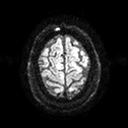
modality: 3 Tesla brain MRI
series: diffusion tensor imaging (medium iso)
study: ring-enhancing brain masses